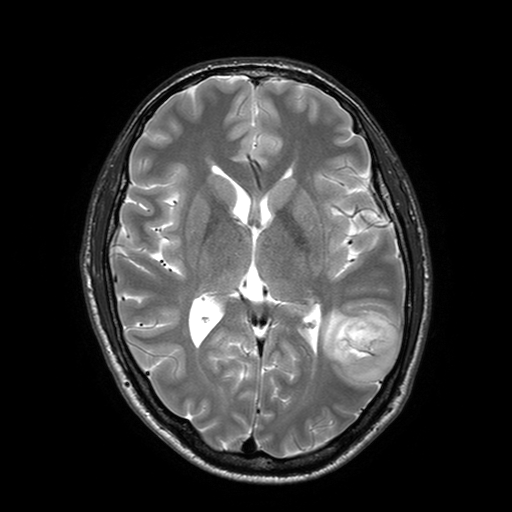
| field | value |
|---|---|
| modality | 3 Tesla brain MRI |
| series | T2-weighted turbo spin echo with SENSE |
| study | ring-enhancing brain masses |